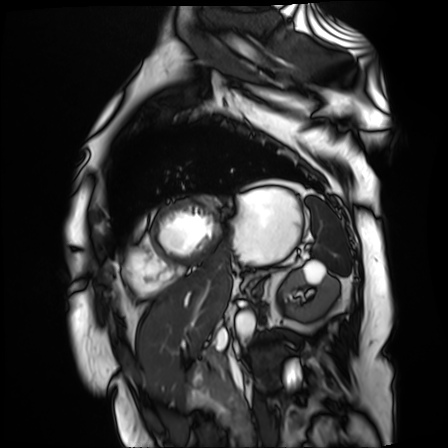
Summary:
Cardiac MR image of the myocardium. Subject cohort: cardiac patient.